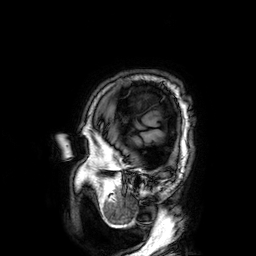
{
  "modality": {
    "type": "brain MRI",
    "field_strength": "3T"
  },
  "series": "3D T1-weighted",
  "study_topic": "ring-enhancing brain masses"
}